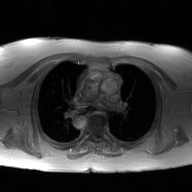
modality = 2D phase-contrast cine MRI of the ascending aorta, GAN super-resolution reconstruction.